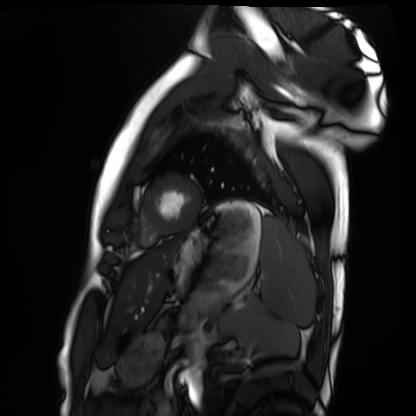
Cardiac MRI. Subject group: healthy volunteer.